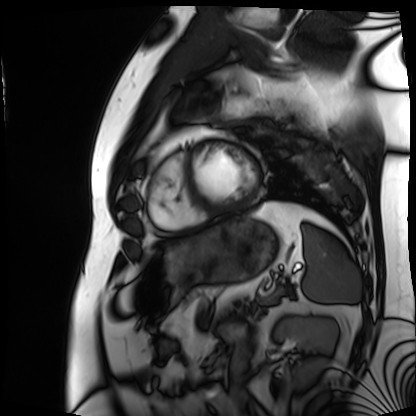
Cardiac MRI.
Subject group: patient.